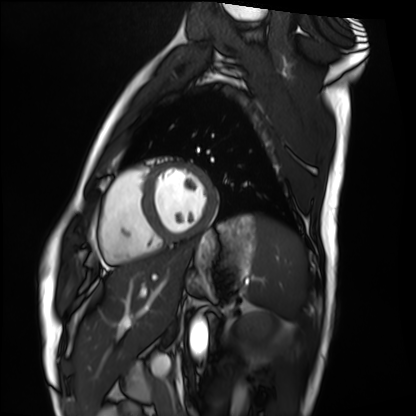
Cardiac MRI. Subject group: healthy volunteer.